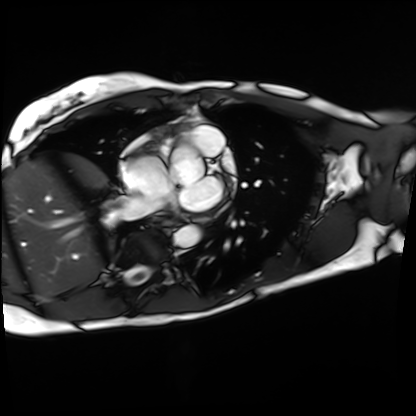
| field | value |
|---|---|
| modality | cardiac MRI |
| subject group | patient |